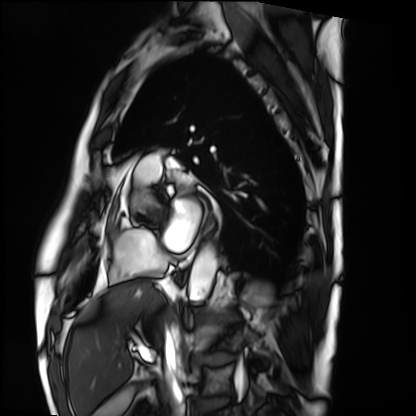
Cardiac MRI. Subject group: patient.